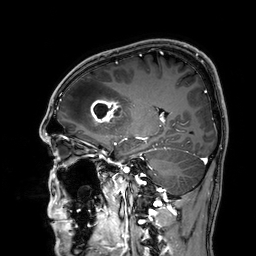
Summary:
3 Tesla brain MRI. Series: 3D T1-weighted. Study: ring-enhancing brain masses.